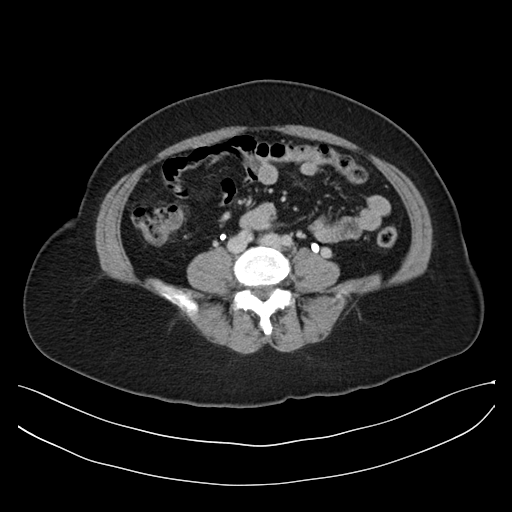
{
  "modality": {
    "type": "multiphase abdominal CT",
    "region": "liver",
    "phase": "delayed"
  },
  "patient": {
    "sex": "female",
    "age": 52
  },
  "history": [
    "prior chemotherapy"
  ]
}